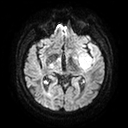
3 Tesla brain MRI. Series: diffusion tensor imaging (medium iso). Study: ring-enhancing brain masses.